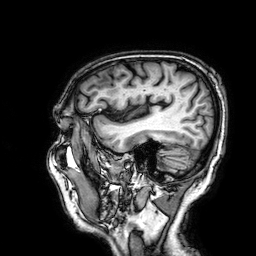
Case:
– modality — 3 Tesla brain MRI
– series — 3D T1-weighted
– study — ring-enhancing brain masses